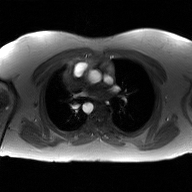
2D phase-contrast cine MRI of the ascending aorta, GAN super-resolution reconstruction.